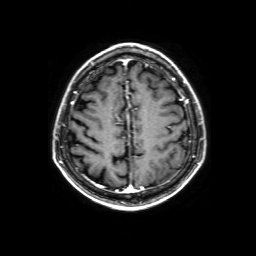
modality = 3 Tesla brain MRI | series = 3D T1-weighted with SENSE | study = ring-enhancing brain masses.